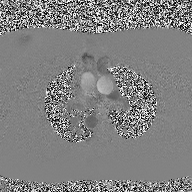
<scan>
<modality>
  <type>2D phase-contrast cine MRI</type>
  <region>ascending aorta</region>
  <reconstruction>high-resolution GRAPPA acquisition</reconstruction>
</modality>
</scan>